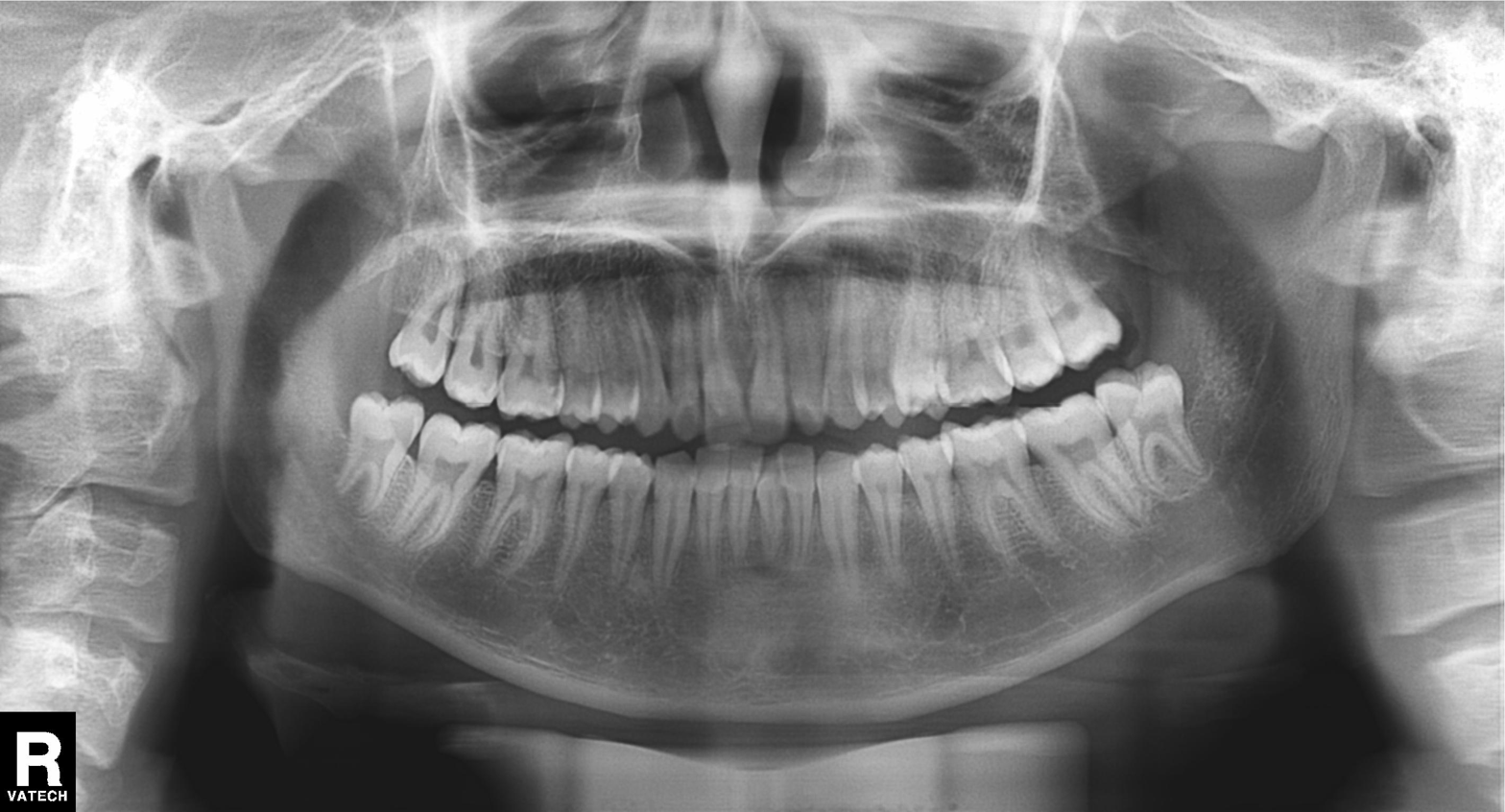
Panoramic dental radiograph (orthopantomogram).
Finding: alveolar bone loss.